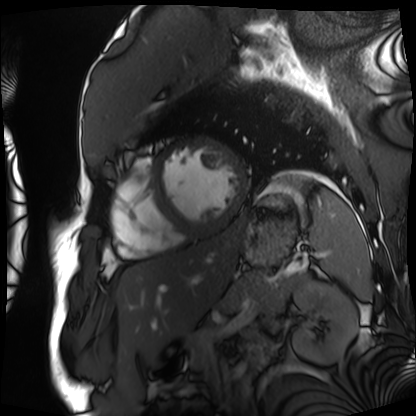
| field | value |
|---|---|
| modality | cardiac MRI |
| subject group | patient |